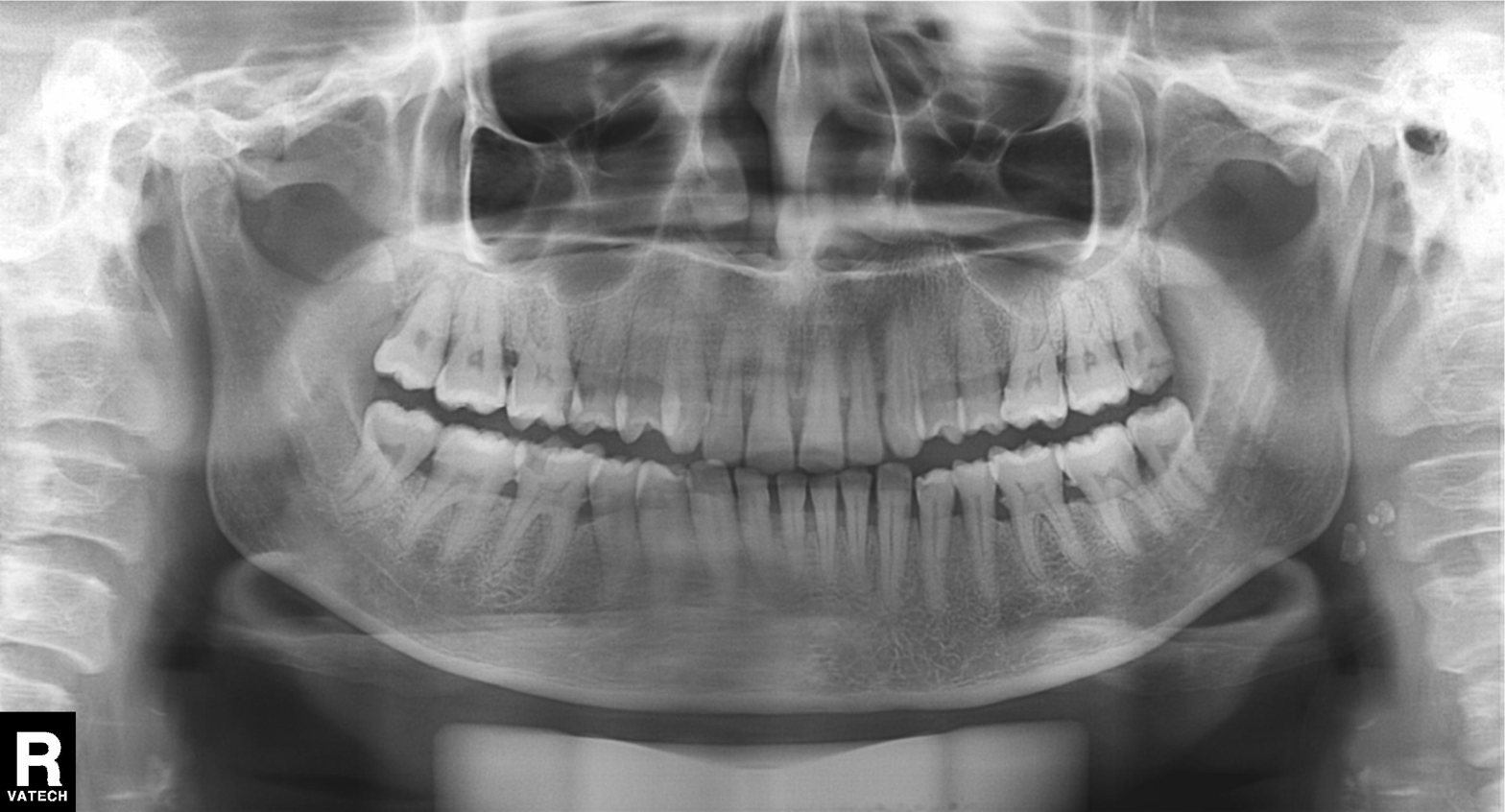
Q: What kind of scan is this?
A: Panoramic dental radiograph (orthopantomogram).
Q: What is the radiographic finding?
A: Alveolar bone loss.